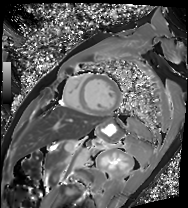
Cardiac MRI. Subject group: patient.